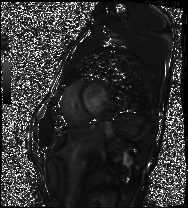
Cardiac MRI.
Subject group: healthy volunteer.